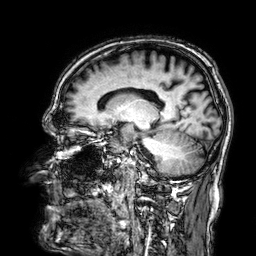
{
  "modality": {
    "type": "brain MRI",
    "field_strength": "3T"
  },
  "series": "3D T1-weighted",
  "study_topic": "ring-enhancing brain masses"
}